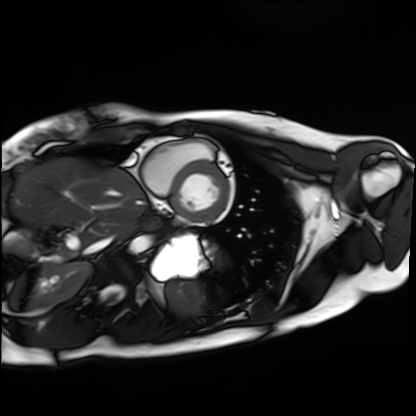
modality=cardiac MRI
subject group=healthy volunteer